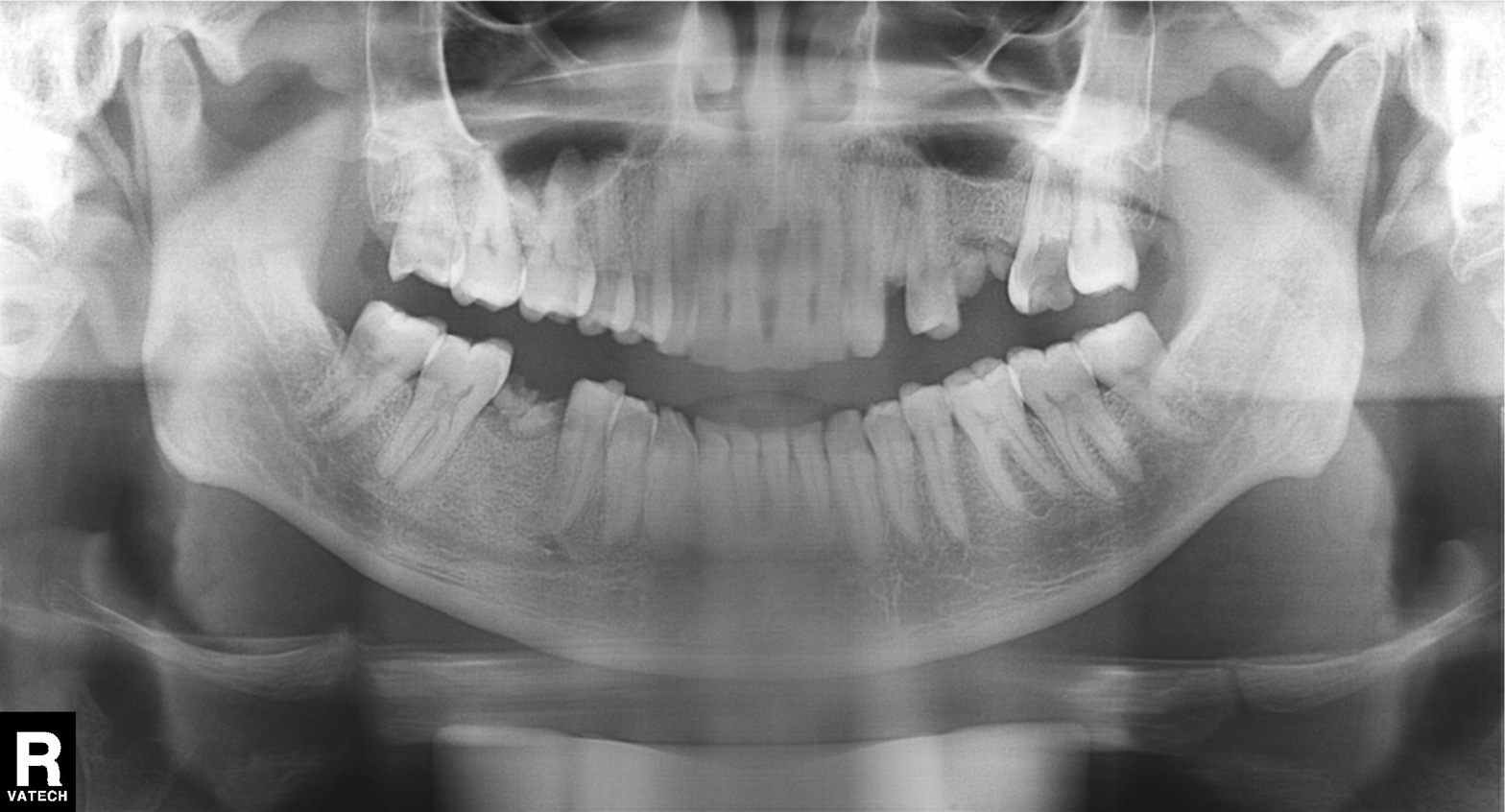
Findings:
– modality: panoramic dental radiograph (orthopantomogram)
– finding: alveolar bone loss